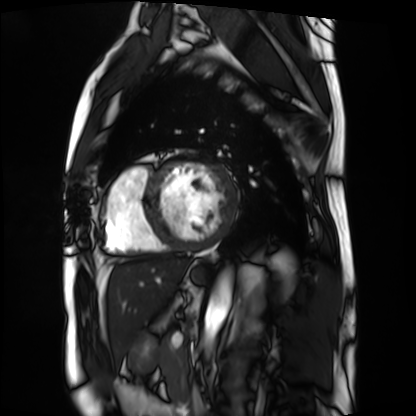
| field | value |
|---|---|
| modality | cardiac MRI |
| subject group | patient |